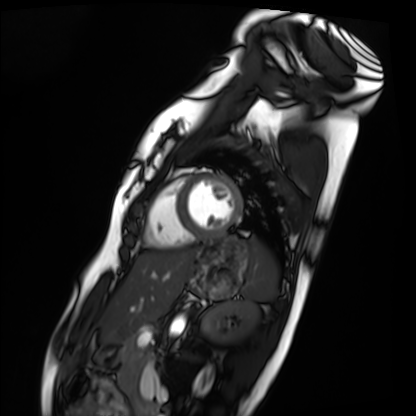
Clinical context:
Cardiac MRI. Subject group: healthy volunteer.